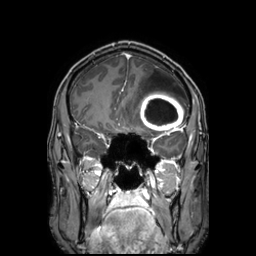
3 Tesla brain MRI. Series: 3D T1-weighted TFE with SENSE. Study: ring-enhancing brain masses.